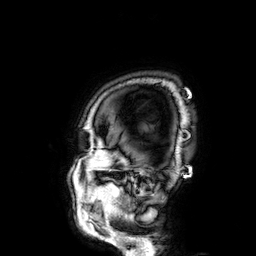
3 Tesla brain MRI. Series: 3D T1-weighted. Study: ring-enhancing brain masses.